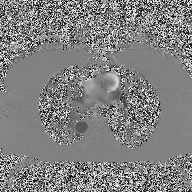
modality=2D phase-contrast cine MRI of the ascending aorta.